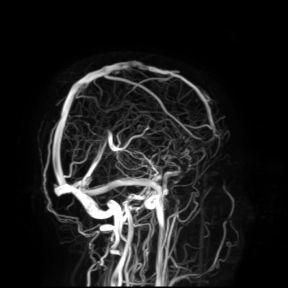
3 Tesla brain MRI. Study: ring-enhancing brain masses.